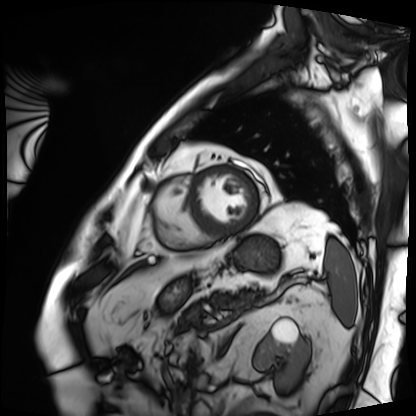
Cardiac MRI. Subject group: patient.